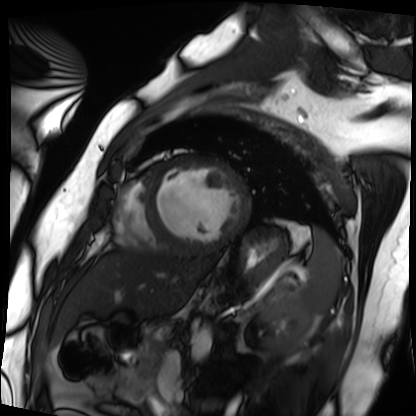
Cardiac MRI. Subject group: patient.